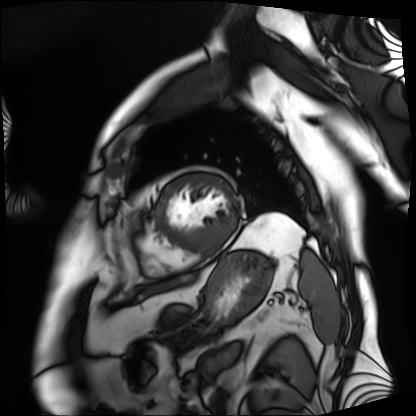
Clinical context: Cardiac MRI. Subject group: patient.